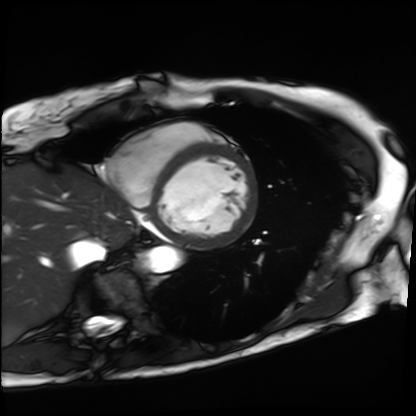
{"modality": "cardiac MRI", "cohort": "patient"}